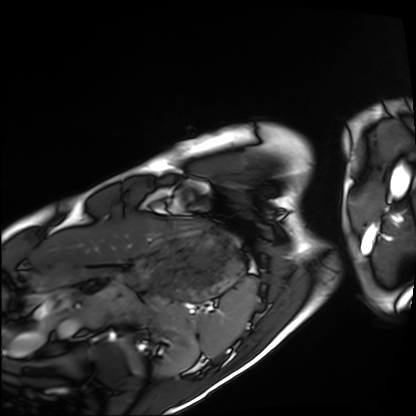
modality = cardiac MRI, subject group = healthy volunteer.